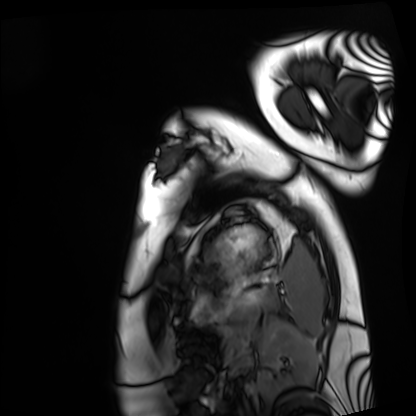
Cardiac MRI.
Subject group: healthy volunteer.